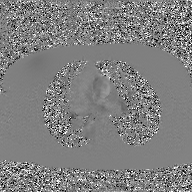
Case summary:
2D phase-contrast cine MRI of the ascending aorta, GAN super-resolution reconstruction.